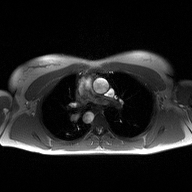
2D phase-contrast cine MRI of the ascending aorta, high-resolution GRAPPA acquisition.